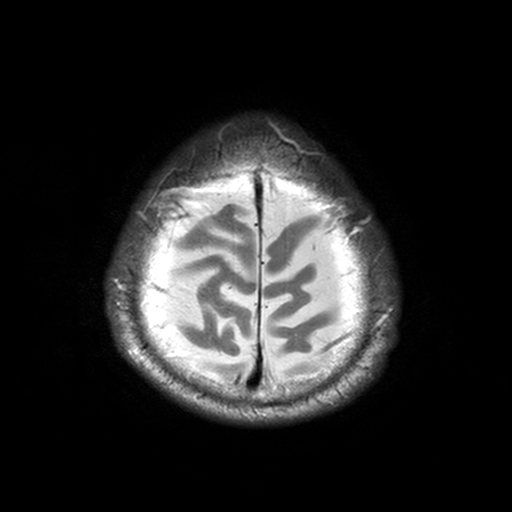
Clinical context:
3 Tesla brain MRI. Series: T2-weighted turbo spin echo, 3 mm. Study: ring-enhancing brain masses.